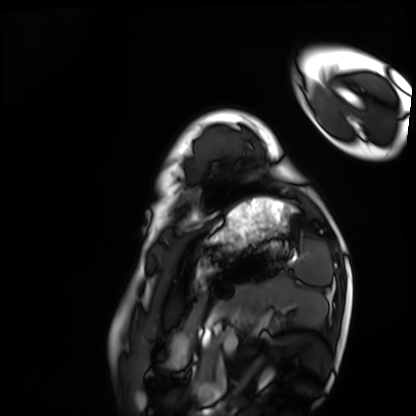
Case:
• modality · cardiac MRI
• subject group · healthy volunteer